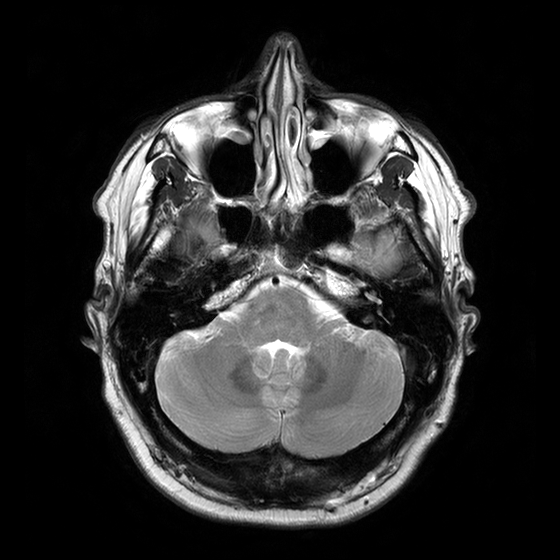
3 Tesla brain MRI.
Series: T2-weighted turbo spin echo with CLEAR.
Study: ring-enhancing brain masses.